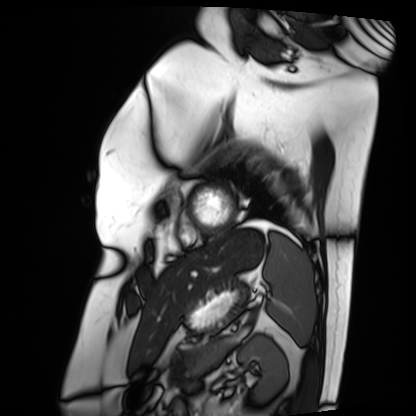
Cardiac MRI. Subject group: patient.